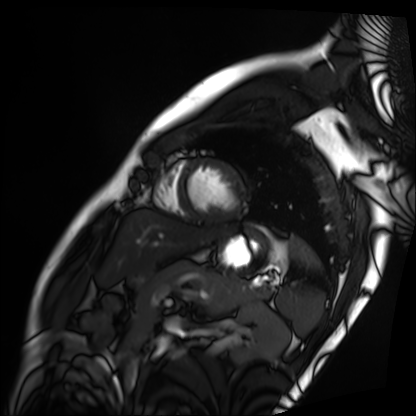
Cardiac MRI. Subject group: patient.